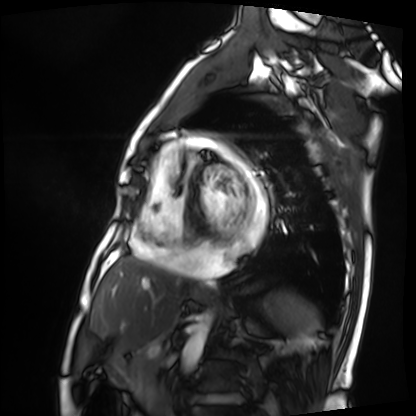
Cardiac MRI. Subject group: patient.